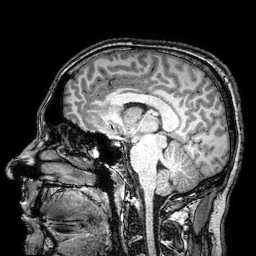
Q: What kind of scan is this?
A: 3 Tesla brain MRI.
Q: Series?
A: 3D T1-weighted turbo field echo with SENSE.
Study: ring-enhancing brain masses.